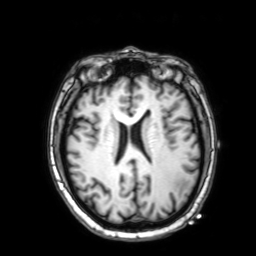
modality: 3 Tesla brain MRI; series: 3D T1-weighted with SENSE; study: ring-enhancing brain masses.